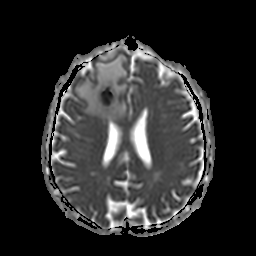
Case summary:
3 Tesla brain MRI. Series: apparent diffusion coefficient (ADC) map. Study: ring-enhancing brain masses.